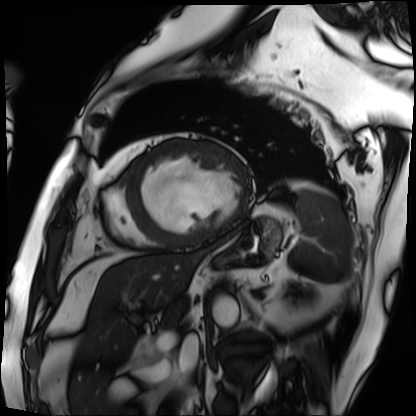
{"modality": "cardiac MRI", "cohort": "patient"}